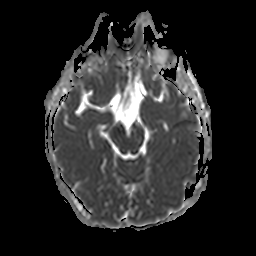
3 Tesla brain MRI.
Series: apparent diffusion coefficient (ADC) map.
Study: ring-enhancing brain masses.